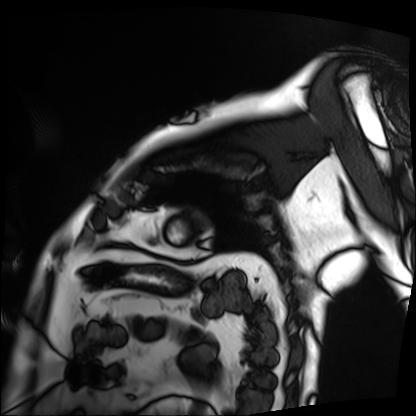
{
  "modality": "cardiac MRI",
  "cohort": "patient"
}